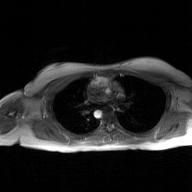
modality = 2D phase-contrast cine MRI of the ascending aorta, GAN super-resolution reconstruction.